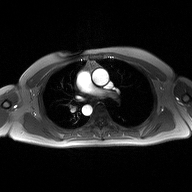
2D phase-contrast cine MRI of the ascending aorta, high-resolution GRAPPA acquisition.